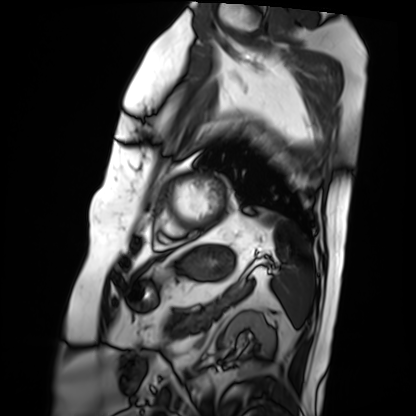
{
  "modality": "cardiac MRI",
  "cohort": "patient"
}